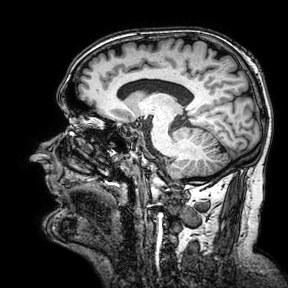
– modality: 3 Tesla brain MRI
– study: ring-enhancing brain masses